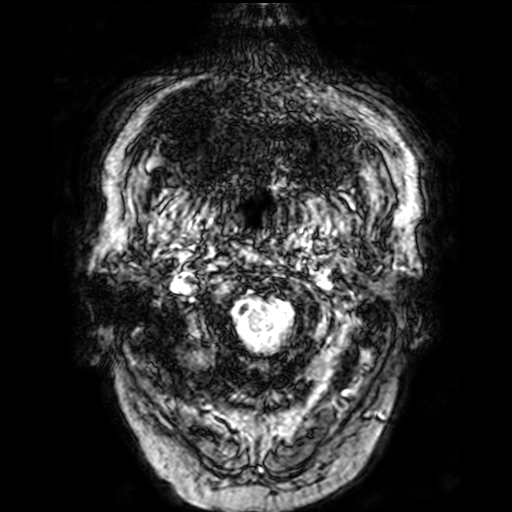
{
  "modality": {
    "type": "brain MRI",
    "field_strength": "3T"
  },
  "series": "T2-weighted fast field echo",
  "study_topic": "ring-enhancing brain masses"
}